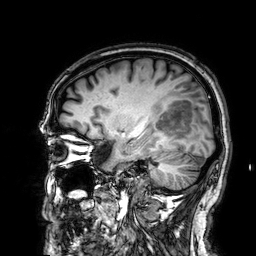
Q: What kind of scan is this?
A: 3 Tesla brain MRI.
Q: Series?
A: 3D T1-weighted.
Study: ring-enhancing brain masses.